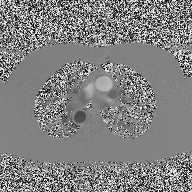
Summary:
2D phase-contrast cine MRI of the ascending aorta, high-resolution GRAPPA acquisition.